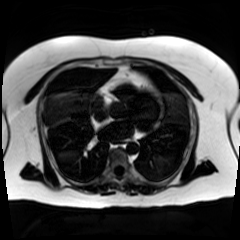
Chemical-shift-encoded cardiac MRI.